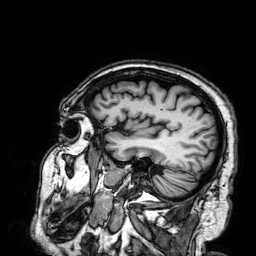
3 Tesla brain MRI. Series: 3D T1-weighted. Study: ring-enhancing brain masses.